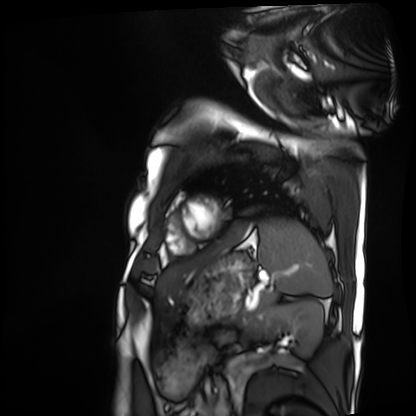
• modality: cardiac MRI
• subject group: patient